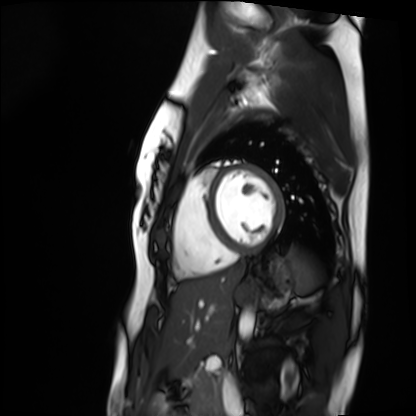
Cardiac MRI.
Subject group: healthy volunteer.